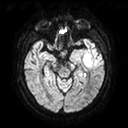
modality — 3 Tesla brain MRI
series — diffusion tensor imaging (medium iso)
study — ring-enhancing brain masses